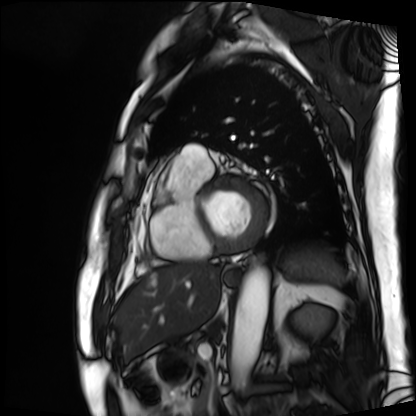
Cardiac MRI. Subject group: patient.